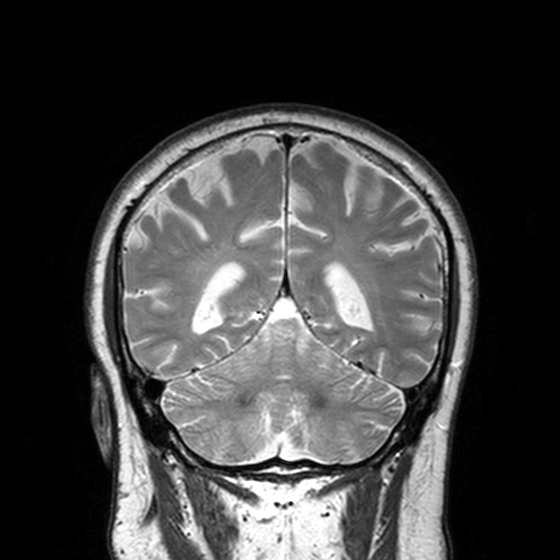
modality: 3 Tesla brain MRI
series: T2-weighted turbo spin echo, 3 mm
study: ring-enhancing brain masses